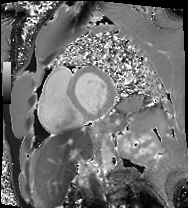
Summary:
Cardiac MRI. Subject group: patient.